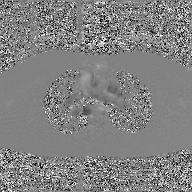
| field | value |
|---|---|
| modality | 2D phase-contrast cine MRI of the ascending aorta, GAN super-resolution reconstruction |